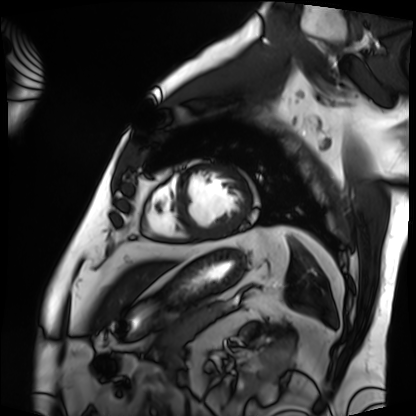
modality = cardiac MRI; subject group = patient.